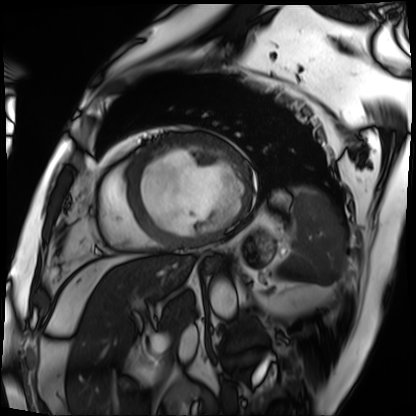
Q: What kind of scan is this?
A: Cardiac MRI.
Subject group: patient.